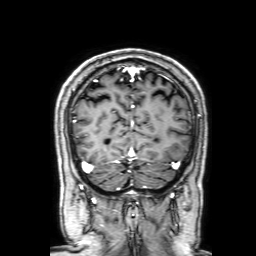
Case summary: 3 Tesla brain MRI. Series: 3D T1-weighted with SENSE. Study: ring-enhancing brain masses.